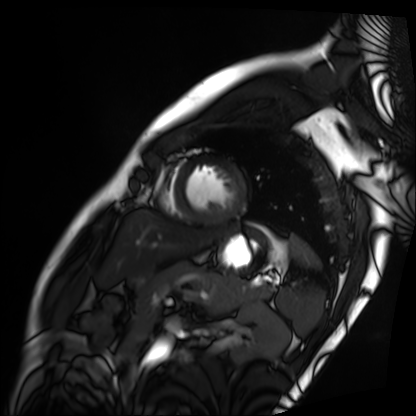
Cardiac MRI. Subject group: patient.